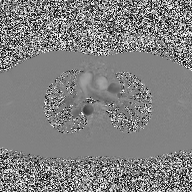
Q: What kind of scan is this?
A: 2D phase-contrast cine MRI of the ascending aorta.